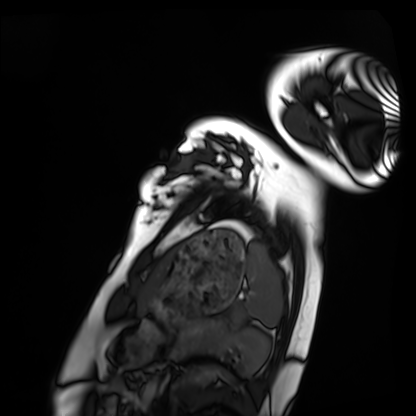
Case summary: Cardiac MRI. Subject group: healthy volunteer.